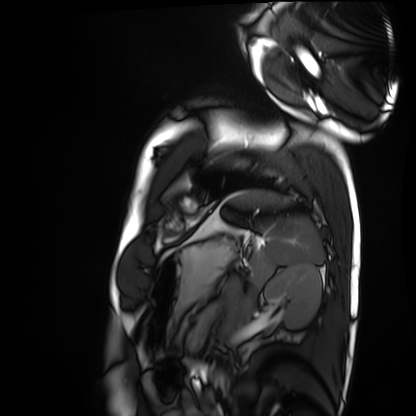
modality: cardiac MRI
cohort: healthy volunteer